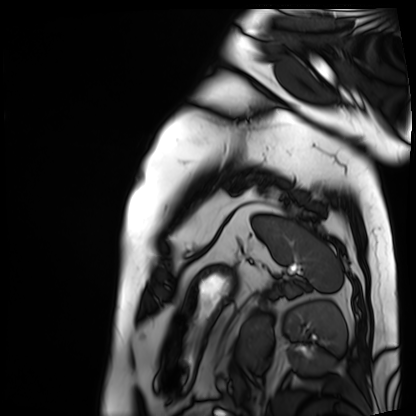
modality — cardiac MRI | subject group — patient.